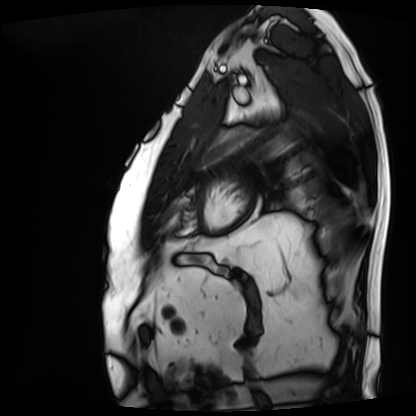
Cardiac MRI. Subject group: patient.